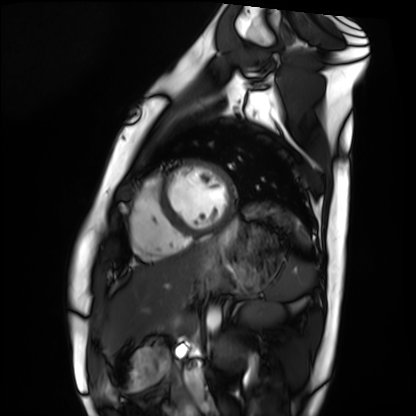
Cardiac MRI.
Subject group: healthy volunteer.